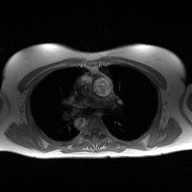
<scan>
  <modality>
    <type>2D phase-contrast cine MRI</type>
    <region>ascending aorta</region>
    <reconstruction>high-resolution GRAPPA acquisition</reconstruction>
  </modality>
</scan>